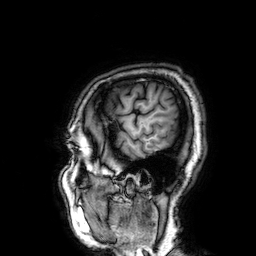
{"modality": {"type": "brain MRI", "field_strength": "3T"}, "series": "3D T1-weighted", "study_topic": "ring-enhancing brain masses"}